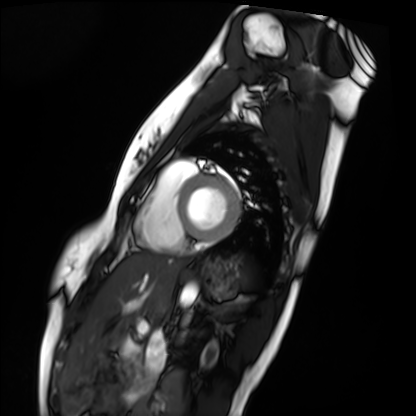
Summary: Cardiac MRI. Subject group: healthy volunteer.